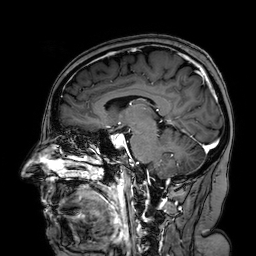
Q: What kind of scan is this?
A: 3 Tesla brain MRI.
Q: Series?
A: 3D T1-weighted turbo field echo with SENSE.
Study: ring-enhancing brain masses.